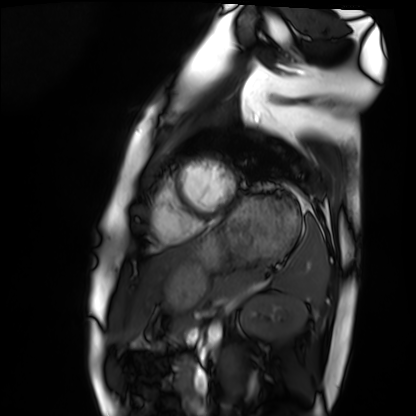
- modality — cardiac MRI
- subject group — healthy volunteer